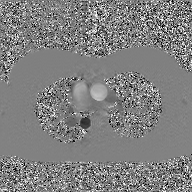
Summary: 2D phase-contrast cine MRI of the ascending aorta, GAN super-resolution reconstruction.